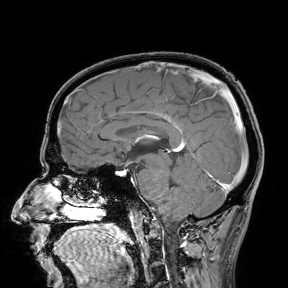
3 Tesla brain MRI.
Study: ring-enhancing brain masses.